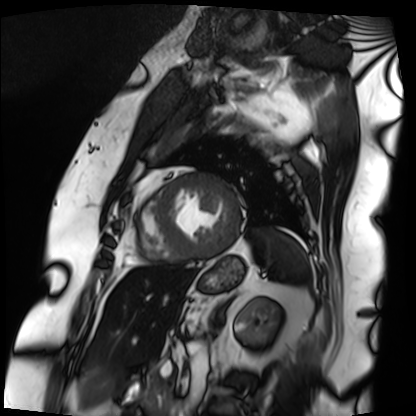
- modality — cardiac MRI
- subject group — patient